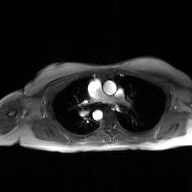
modality=2D phase-contrast cine MRI of the ascending aorta, GAN super-resolution reconstruction